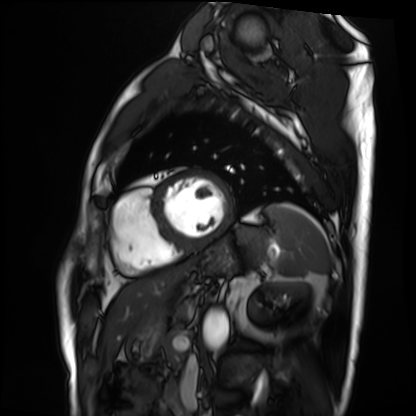
Cardiac MRI. Subject group: patient.